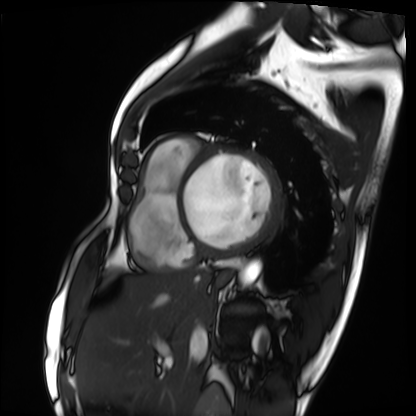
| field | value |
|---|---|
| modality | cardiac MRI |
| subject group | patient |